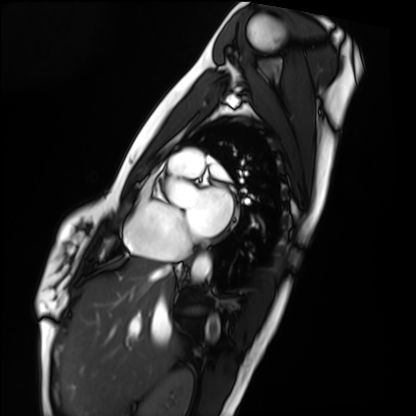
<scan>
<modality>cardiac MRI</modality>
<cohort>healthy volunteer</cohort>
</scan>